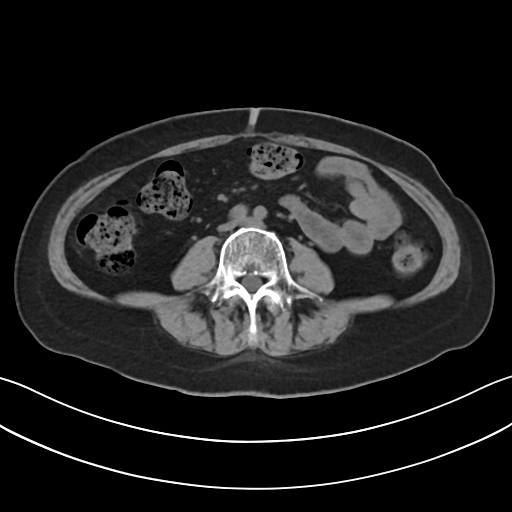
Summary:
Multiphase abdominal CT, liver, non-contrast phase. Patient: female, age 61. History: prior chemotherapy.